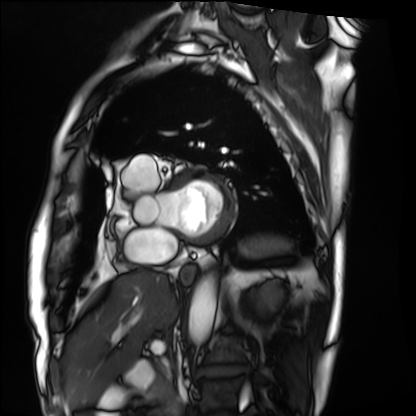
Cardiac MRI.
Subject group: patient.